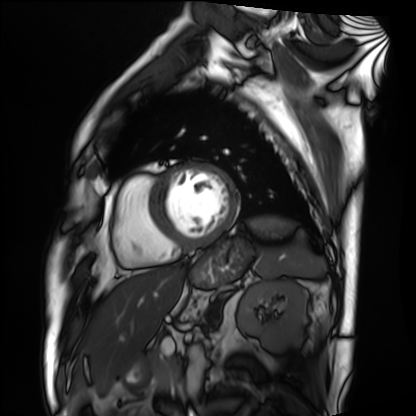
| field | value |
|---|---|
| modality | cardiac MRI |
| subject group | patient |